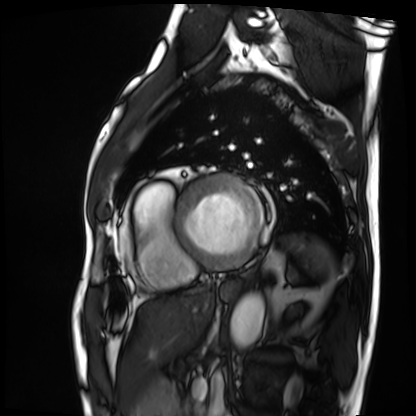
Cardiac MRI.
Subject group: patient.